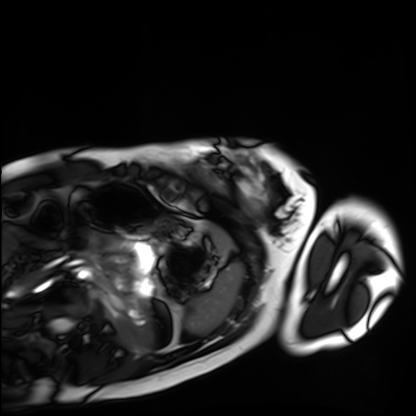
Case summary:
Cardiac MRI. Subject group: healthy volunteer.